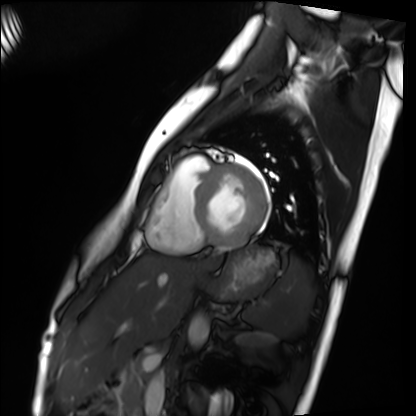
modality: cardiac MRI, subject group: healthy volunteer.